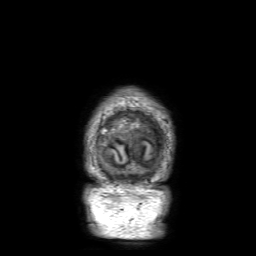
Summary:
3 Tesla brain MRI. Series: 3D T1-weighted with SENSE. Study: ring-enhancing brain masses.